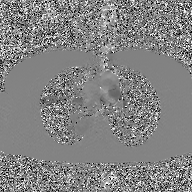
<case>
<modality>
  <type>2D phase-contrast cine MRI</type>
  <region>ascending aorta</region>
  <reconstruction>GAN super-resolution reconstruction</reconstruction>
</modality>
</case>